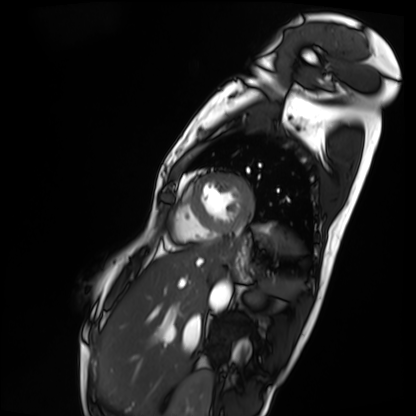
modality = cardiac MRI | subject group = patient.